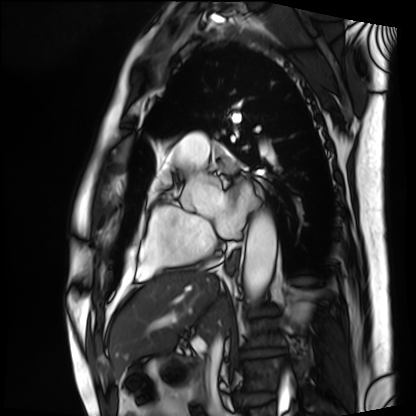
modality=cardiac MRI; subject group=patient.